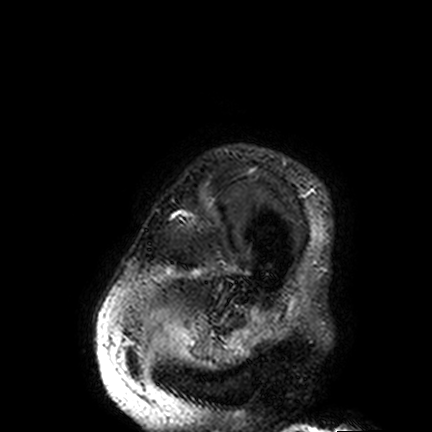
3 Tesla brain MRI. Series: FLAIR VISTA. Study: ring-enhancing brain masses.